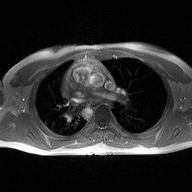
2D phase-contrast cine MRI of the ascending aorta, high-resolution GRAPPA acquisition.